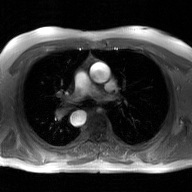
Q: What kind of scan is this?
A: 2D phase-contrast cine MRI of the ascending aorta, GAN super-resolution reconstruction.